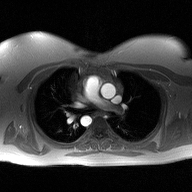
modality: 2D phase-contrast cine MRI of the ascending aorta